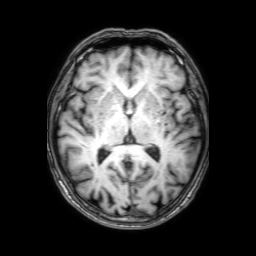
3 Tesla brain MRI. Series: 3D T1-weighted with SENSE. Study: ring-enhancing brain masses.